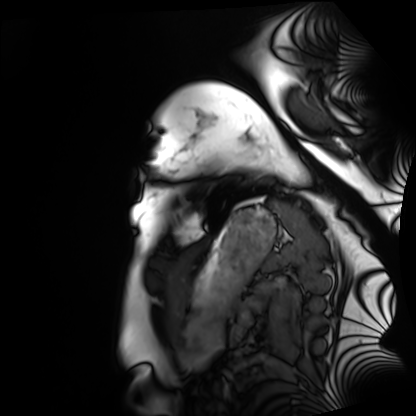
Cardiac MRI. Subject group: healthy volunteer.